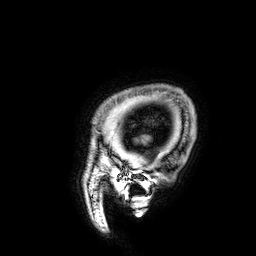
Q: What kind of scan is this?
A: 3 Tesla brain MRI.
Q: Series?
A: 3D T1-weighted.
Study: ring-enhancing brain masses.